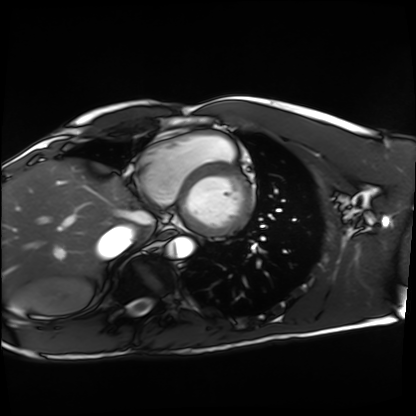
Cardiac MRI. Subject group: healthy volunteer.